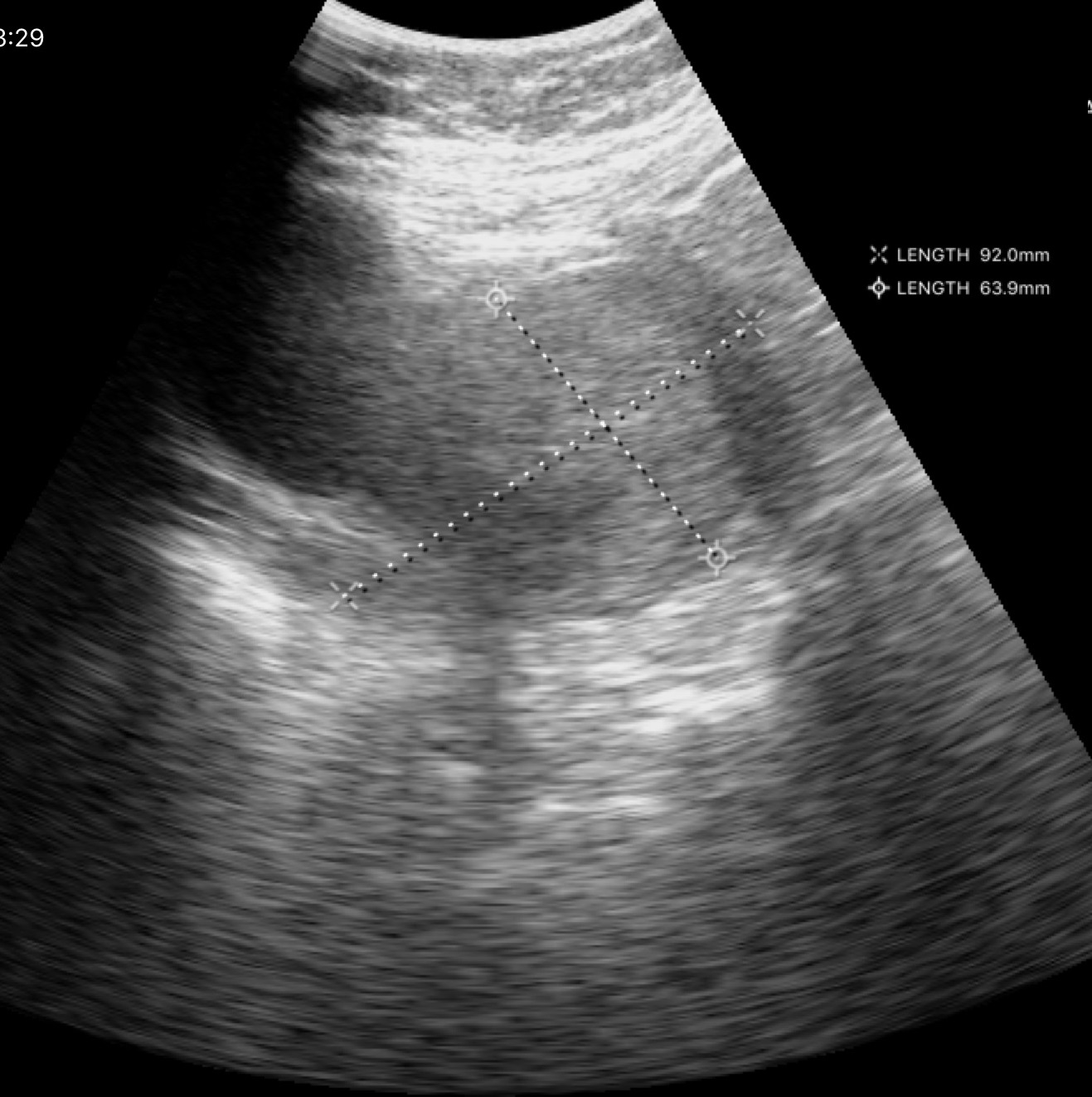
modality = genitourinary ultrasound.